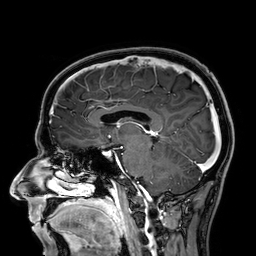
modality = 3 Tesla brain MRI | series = 3D T1-weighted | study = ring-enhancing brain masses.